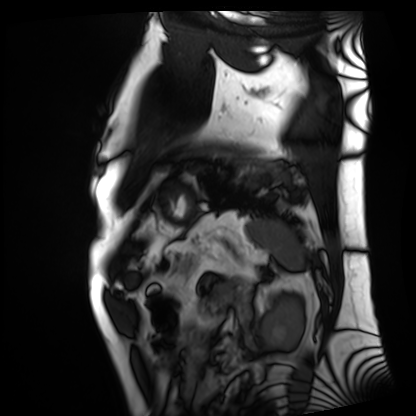
Cardiac MRI. Subject group: patient.